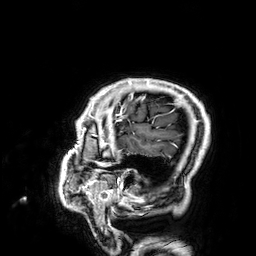
3 Tesla brain MRI. Series: 3D T1-weighted. Study: ring-enhancing brain masses.